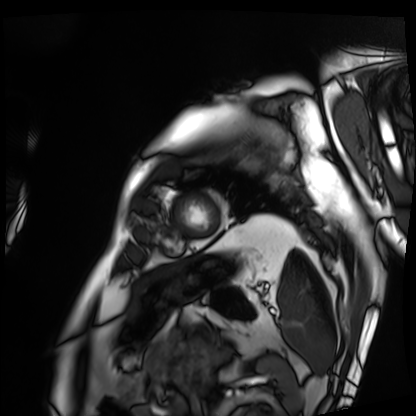
modality: cardiac MRI | subject group: patient.